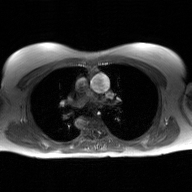
{
  "modality": {
    "type": "2D phase-contrast cine MRI",
    "region": "ascending aorta",
    "reconstruction": "GAN super-resolution reconstruction"
  }
}